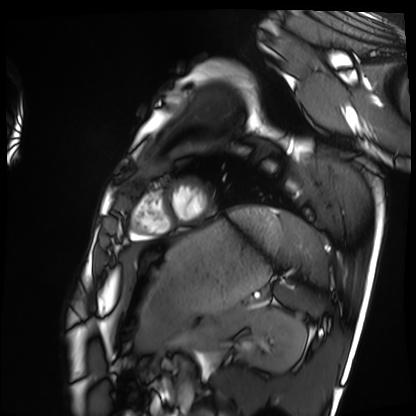
Cardiac MRI. Subject group: healthy volunteer.